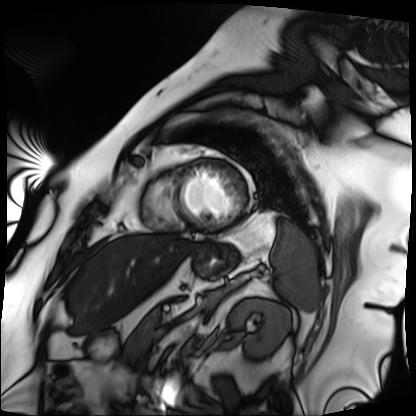
Cardiac MRI. Subject group: patient.